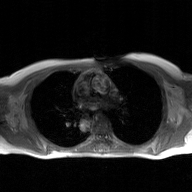
• modality — 2D phase-contrast cine MRI of the ascending aorta, GAN super-resolution reconstruction